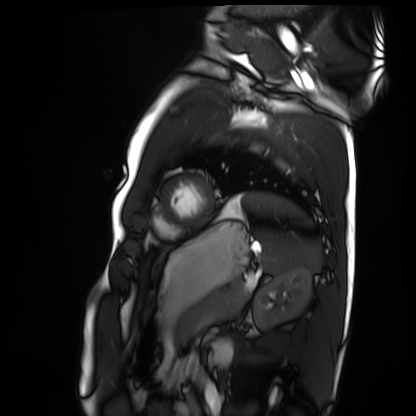
{"modality": "cardiac MRI", "cohort": "healthy volunteer"}